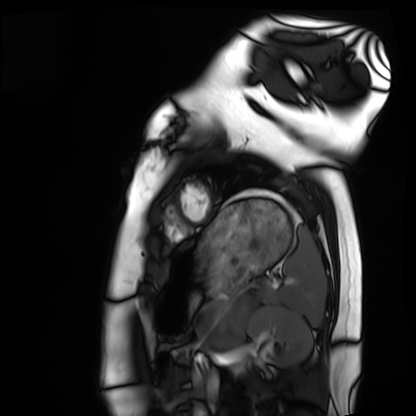
Clinical context: Cardiac MRI. Subject group: healthy volunteer.